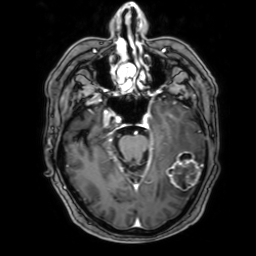
Case:
– modality: 3 Tesla brain MRI
– series: 3D T1-weighted with SENSE
– study: ring-enhancing brain masses